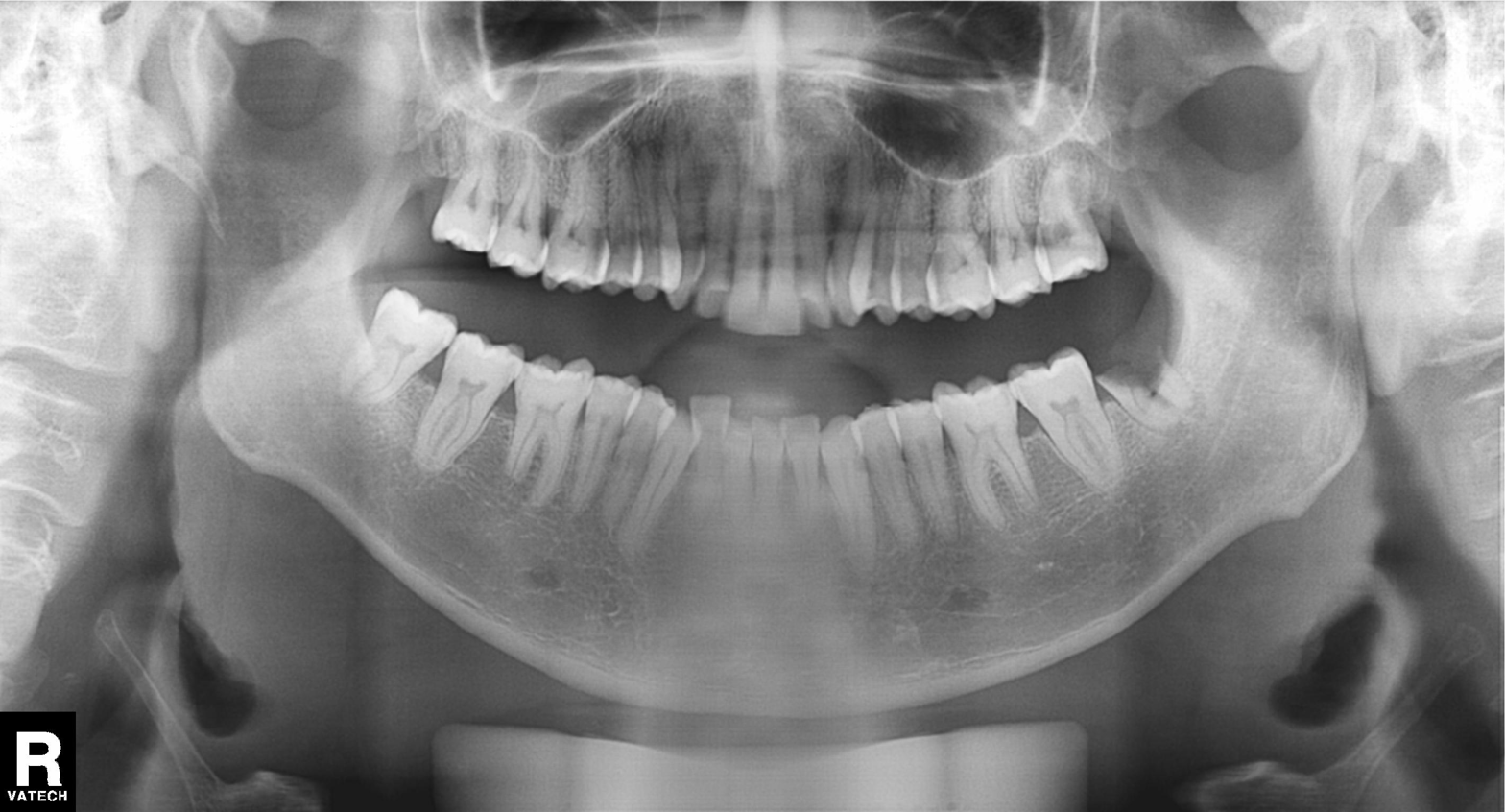
<record>
<modality>panoramic dental radiograph (orthopantomogram)</modality>
<finding>tooth impaction</finding>
</record>